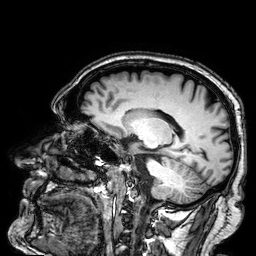
modality:
  type: brain MRI
  field_strength: 3T
series: 3D T1-weighted
study_topic: ring-enhancing brain masses